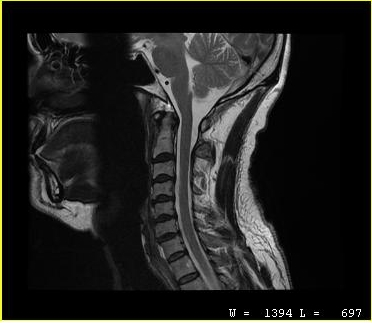
Summary:
MRI of the cervical spine. Study: cervical spondylosis.